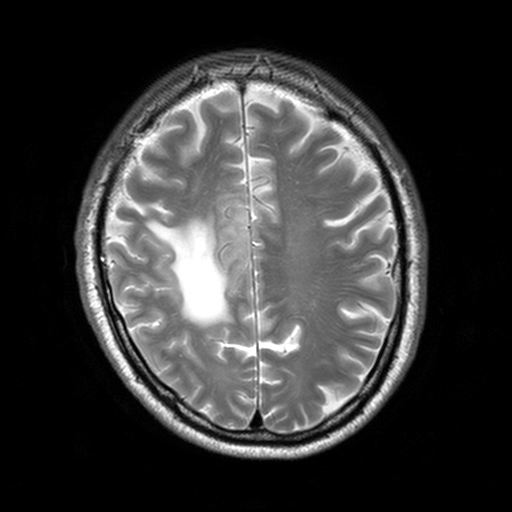
modality = 3 Tesla brain MRI | series = T2-weighted turbo spin echo, 3 mm | study = ring-enhancing brain masses.